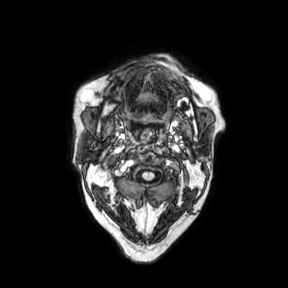
Case summary:
3 Tesla brain MRI. Series: axial. Study: ring-enhancing brain masses.